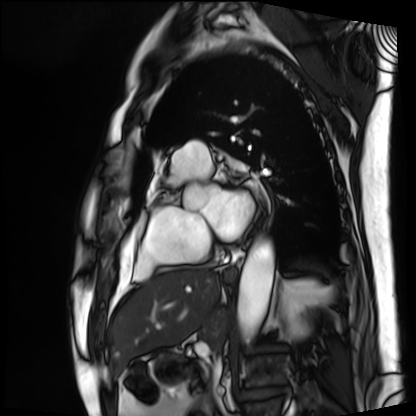
modality = cardiac MRI | subject group = patient.